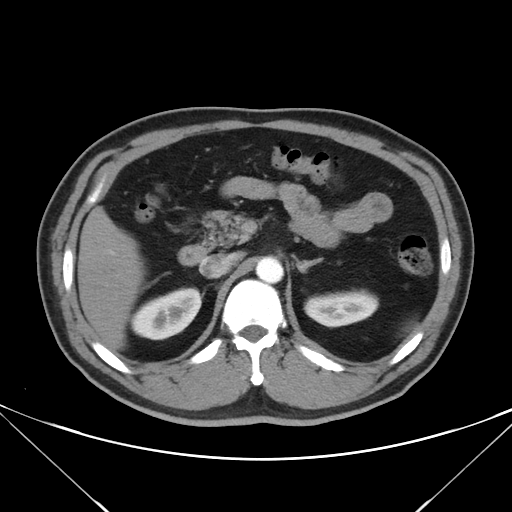
Summary: Multiphase abdominal CT, liver, arterial phase. Patient: male, age 50.